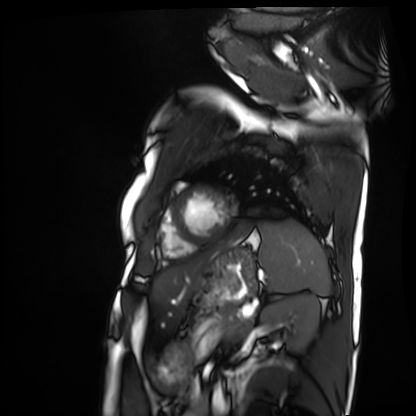
Summary:
Cardiac MRI. Subject group: patient.